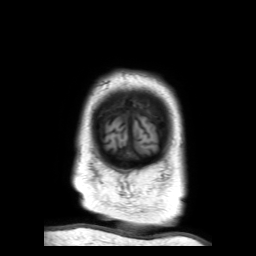
{
  "modality": {
    "type": "brain MRI",
    "field_strength": "3T"
  },
  "series": "3D T1-weighted TFE with SENSE",
  "study_topic": "ring-enhancing brain masses"
}